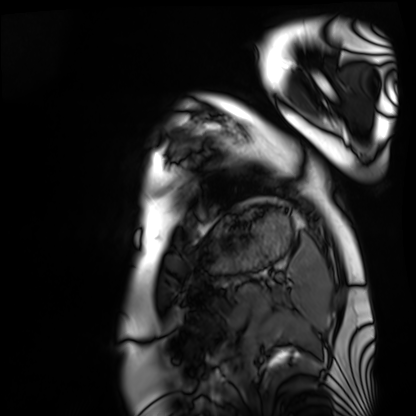
Summary:
Cardiac MRI. Subject group: healthy volunteer.